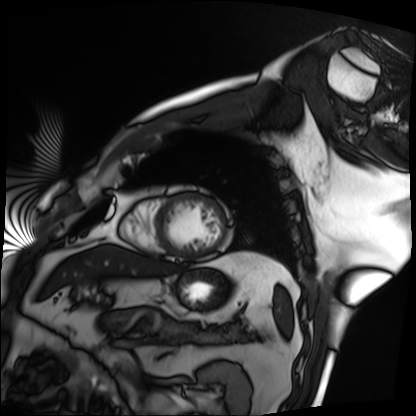
Summary:
Cardiac MRI. Subject group: patient.